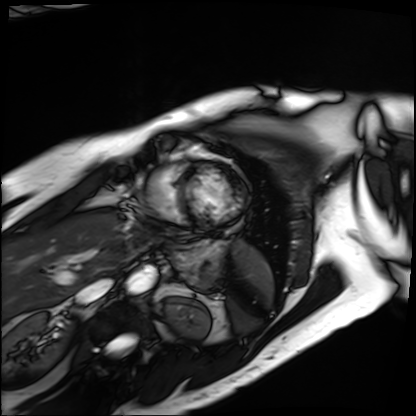
Cardiac MRI. Subject group: patient.